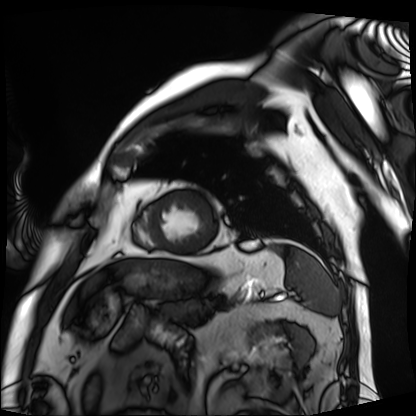
Case:
* modality: cardiac MRI
* subject group: patient